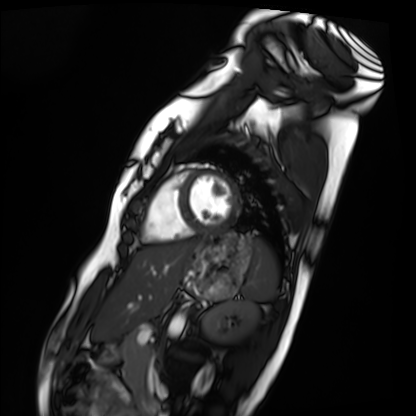
Clinical context: Cardiac MRI. Subject group: healthy volunteer.